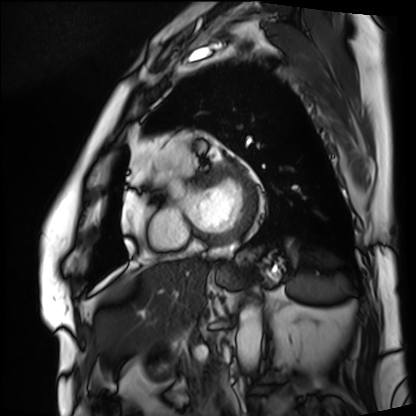
Cardiac MRI. Subject group: patient.